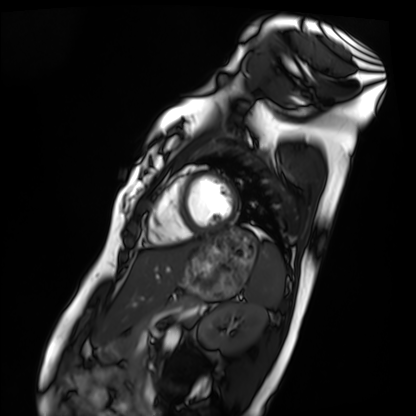
Case summary:
Cardiac MRI. Subject group: healthy volunteer.